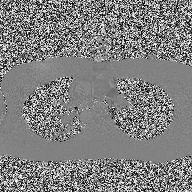
Clinical context:
2D phase-contrast cine MRI of the ascending aorta, high-resolution GRAPPA acquisition.